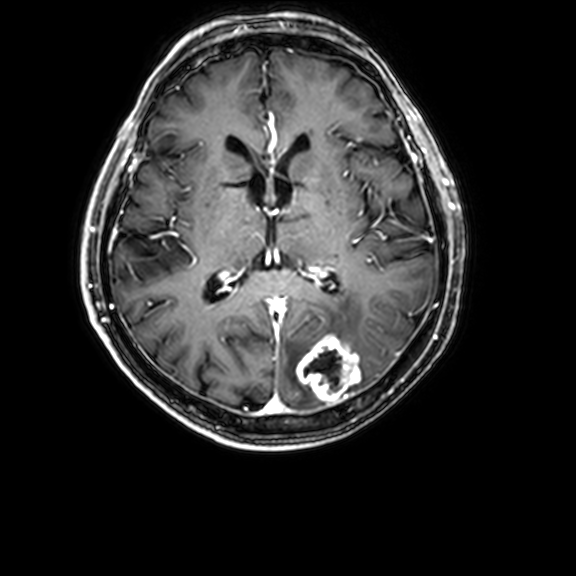
Q: What kind of scan is this?
A: 3 Tesla brain MRI.
Q: Series?
A: 3D T1-weighted with CLEAR.
Study: ring-enhancing brain masses.